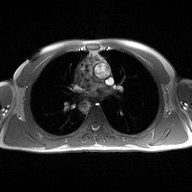
2D phase-contrast cine MRI of the ascending aorta, high-resolution GRAPPA acquisition.